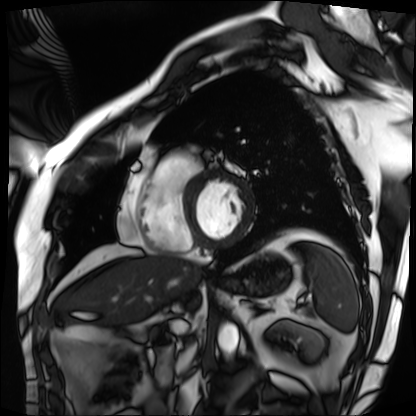
Cardiac MRI.
Subject group: patient.